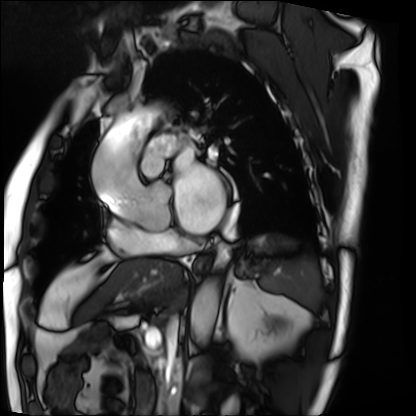
Case:
* modality: cardiac MRI
* subject group: patient